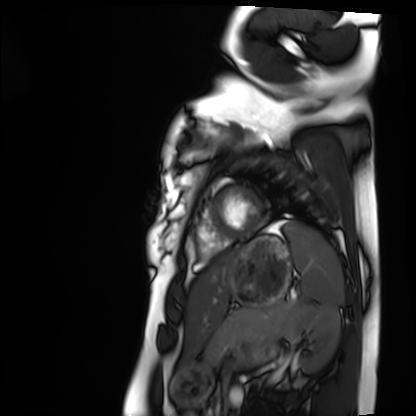
Clinical context:
Cardiac MRI. Subject group: healthy volunteer.